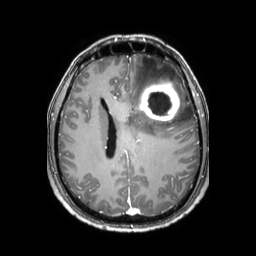
Case summary:
3 Tesla brain MRI. Series: 3D T1-weighted TFE with SENSE. Study: ring-enhancing brain masses.